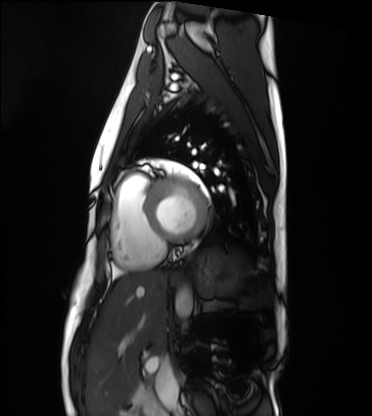
Q: What kind of scan is this?
A: Cardiac MRI.
Subject group: healthy volunteer.